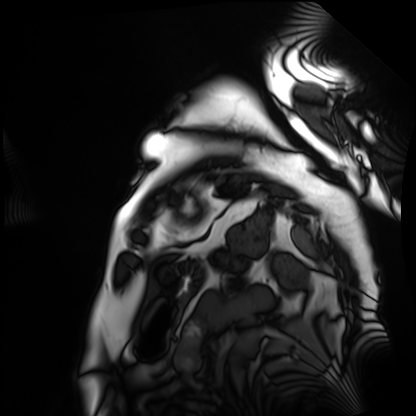
Cardiac MRI. Subject group: patient.